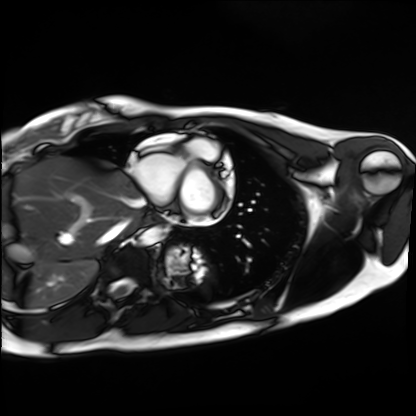
Cardiac MRI.
Subject group: healthy volunteer.